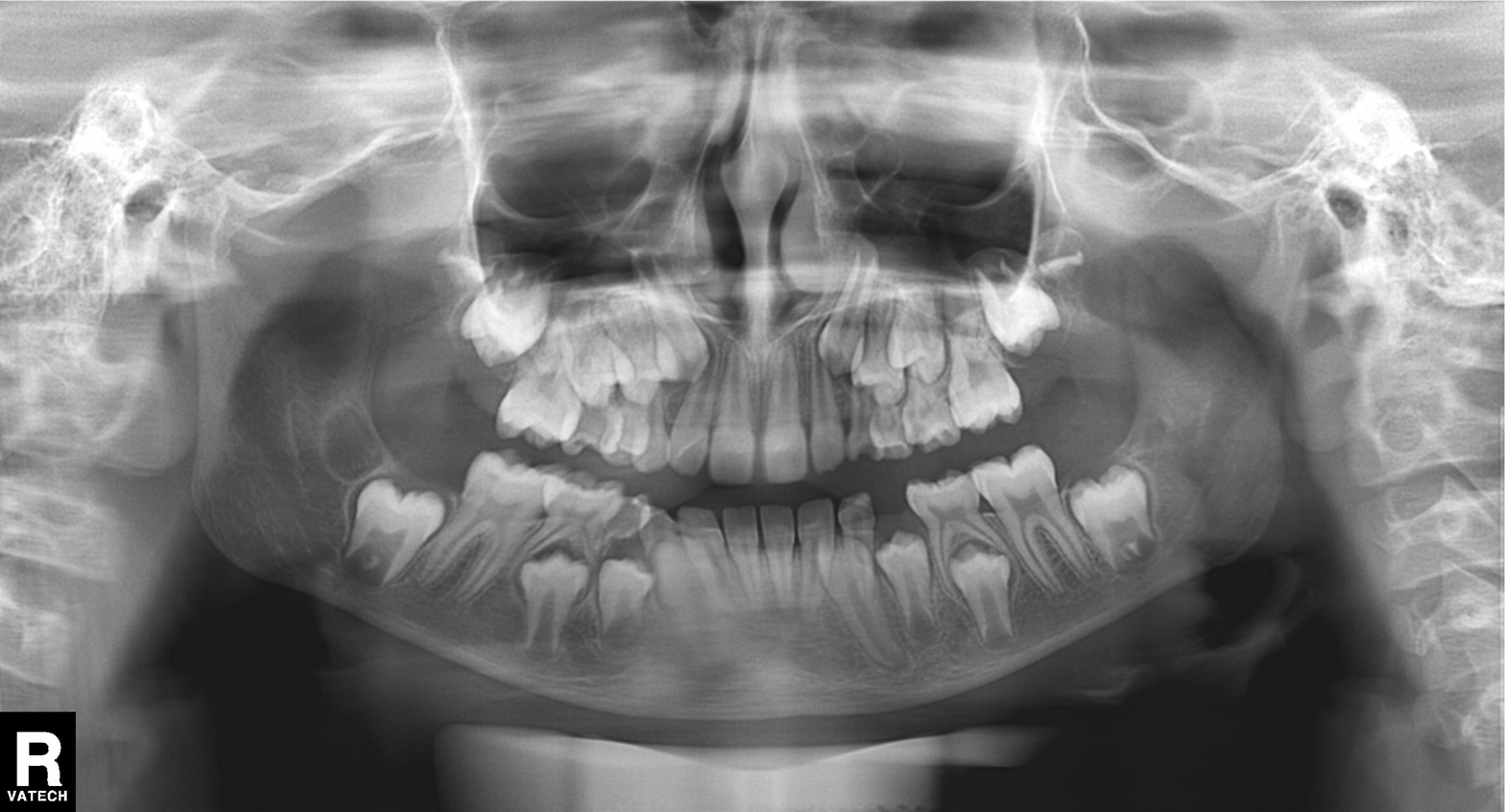
Findings:
– modality · panoramic dental radiograph (orthopantomogram)
– finding · alveolar bone loss